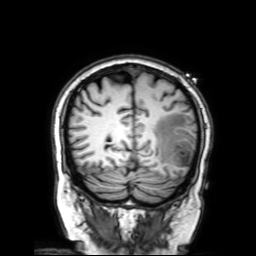
Clinical context:
3 Tesla brain MRI. Series: 3D T1-weighted with SENSE. Study: ring-enhancing brain masses.